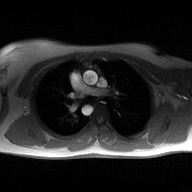
modality:
  type: 2D phase-contrast cine MRI
  region: ascending aorta
  reconstruction: high-resolution GRAPPA acquisition